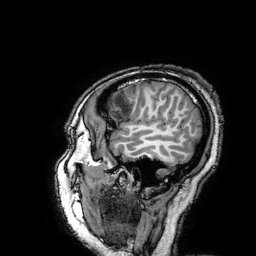
3 Tesla brain MRI.
Series: 3D T1-weighted turbo field echo with SENSE.
Study: ring-enhancing brain masses.